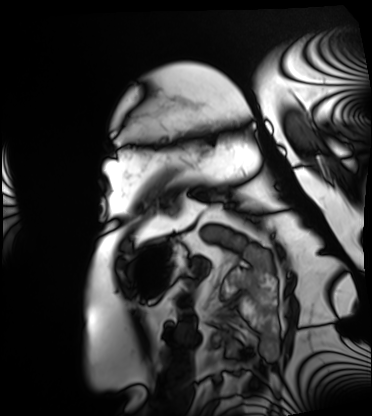
Summary:
Cardiac MRI. Subject group: patient.